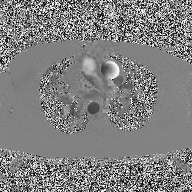
| field | value |
|---|---|
| modality | 2D phase-contrast cine MRI of the ascending aorta |